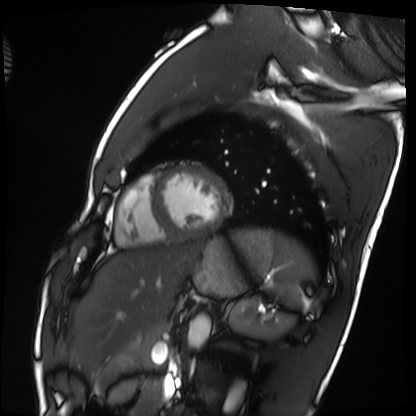
modality = cardiac MRI, subject group = healthy volunteer.